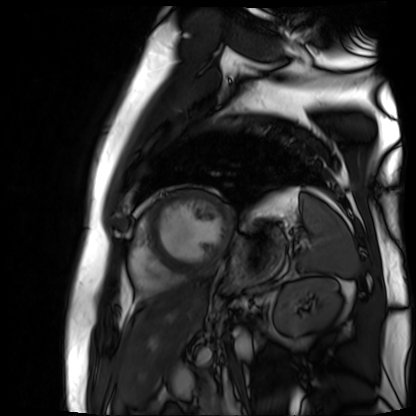
modality: cardiac MR image of the myocardium
cohort: cardiac patient